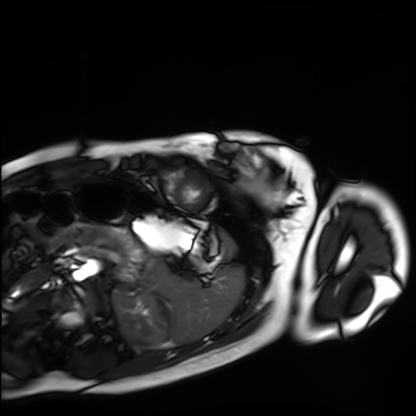
<study>
  <modality>cardiac MRI</modality>
  <cohort>healthy volunteer</cohort>
</study>